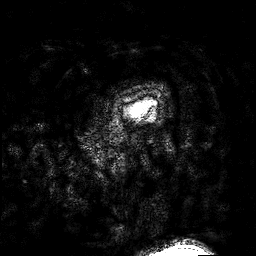
Case:
* modality · 3 Tesla brain MRI
* series · 3D T1-weighted turbo field echo with SENSE
* study · ring-enhancing brain masses